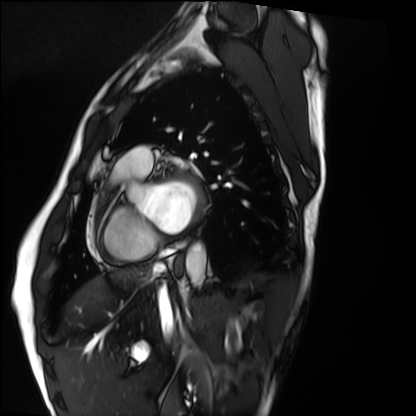
modality = cardiac MRI, subject group = healthy volunteer.